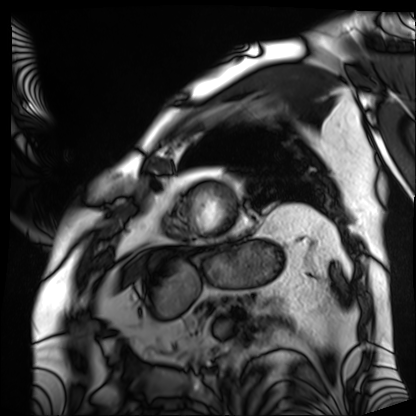
| field | value |
|---|---|
| modality | cardiac MRI |
| subject group | patient |